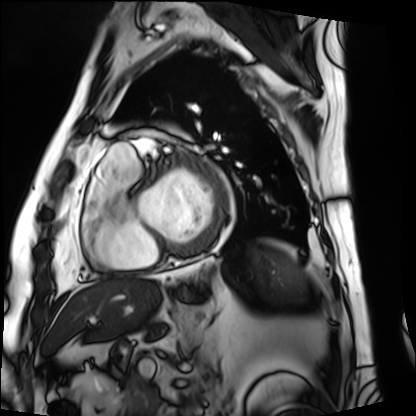
Q: What kind of scan is this?
A: Cardiac MRI.
Subject group: patient.